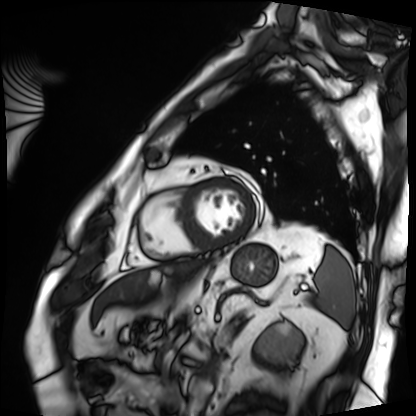
- modality · cardiac MRI
- subject group · patient